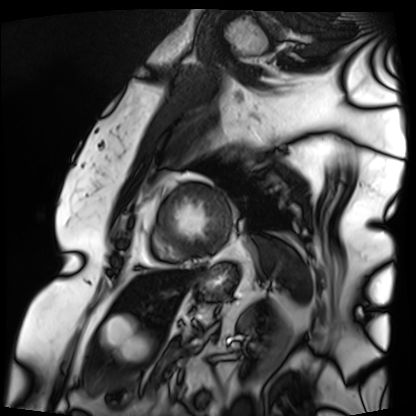
Cardiac MRI. Subject group: patient.